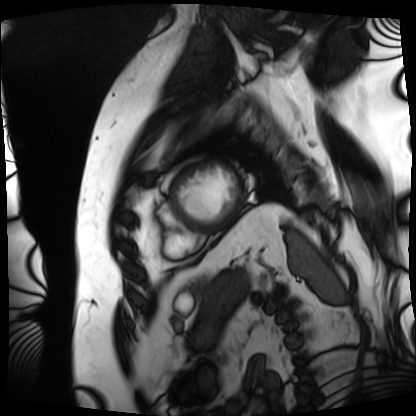
Cardiac MRI. Subject group: patient.